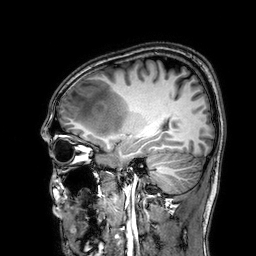
Case summary:
3 Tesla brain MRI. Series: 3D T1-weighted. Study: ring-enhancing brain masses.